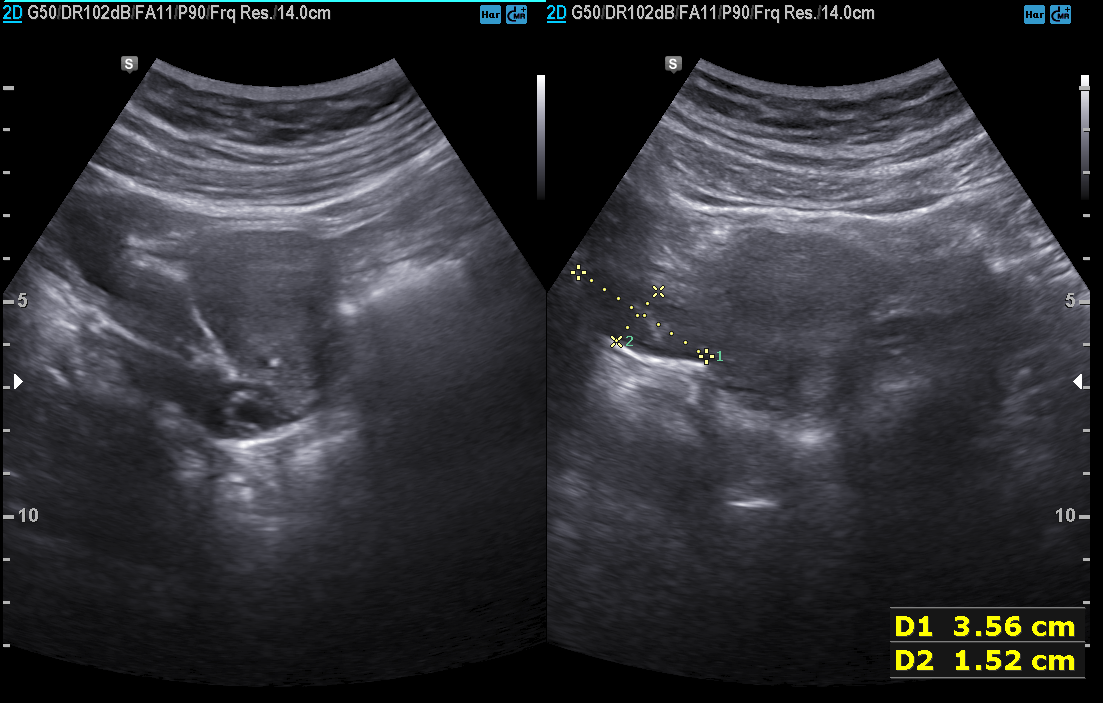
<study>
  <modality>
    <type>genitourinary ultrasound</type>
  </modality>
</study>